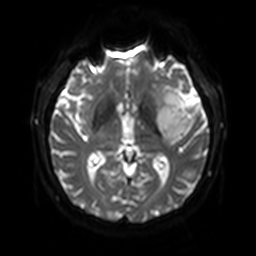
3 Tesla brain MRI. Series: diffusion-weighted imaging with SENSE (WIP). Study: ring-enhancing brain masses.